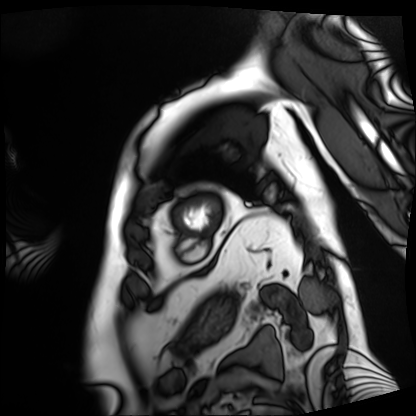
{
  "modality": "cardiac MRI",
  "cohort": "patient"
}